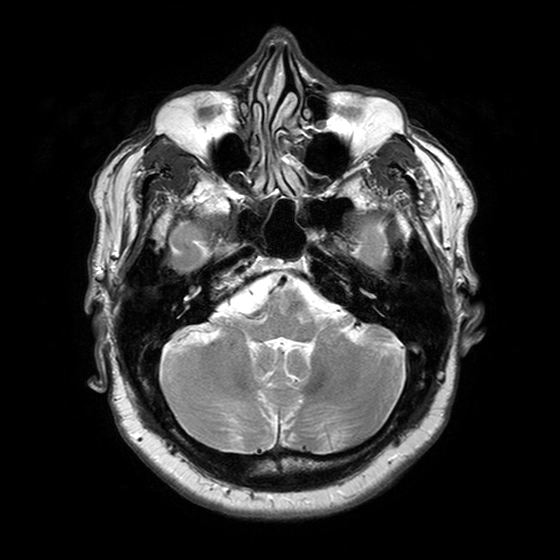
- modality: 3 Tesla brain MRI
- series: T2-weighted turbo spin echo with SENSE
- study: ring-enhancing brain masses